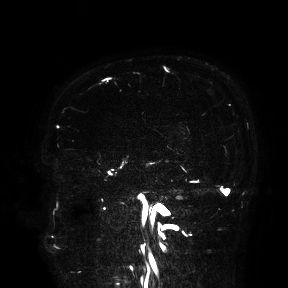
• modality · 3 Tesla brain MRI
• study · ring-enhancing brain masses